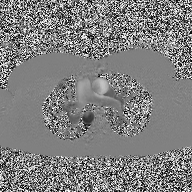
Summary:
2D phase-contrast cine MRI of the ascending aorta, high-resolution GRAPPA acquisition.